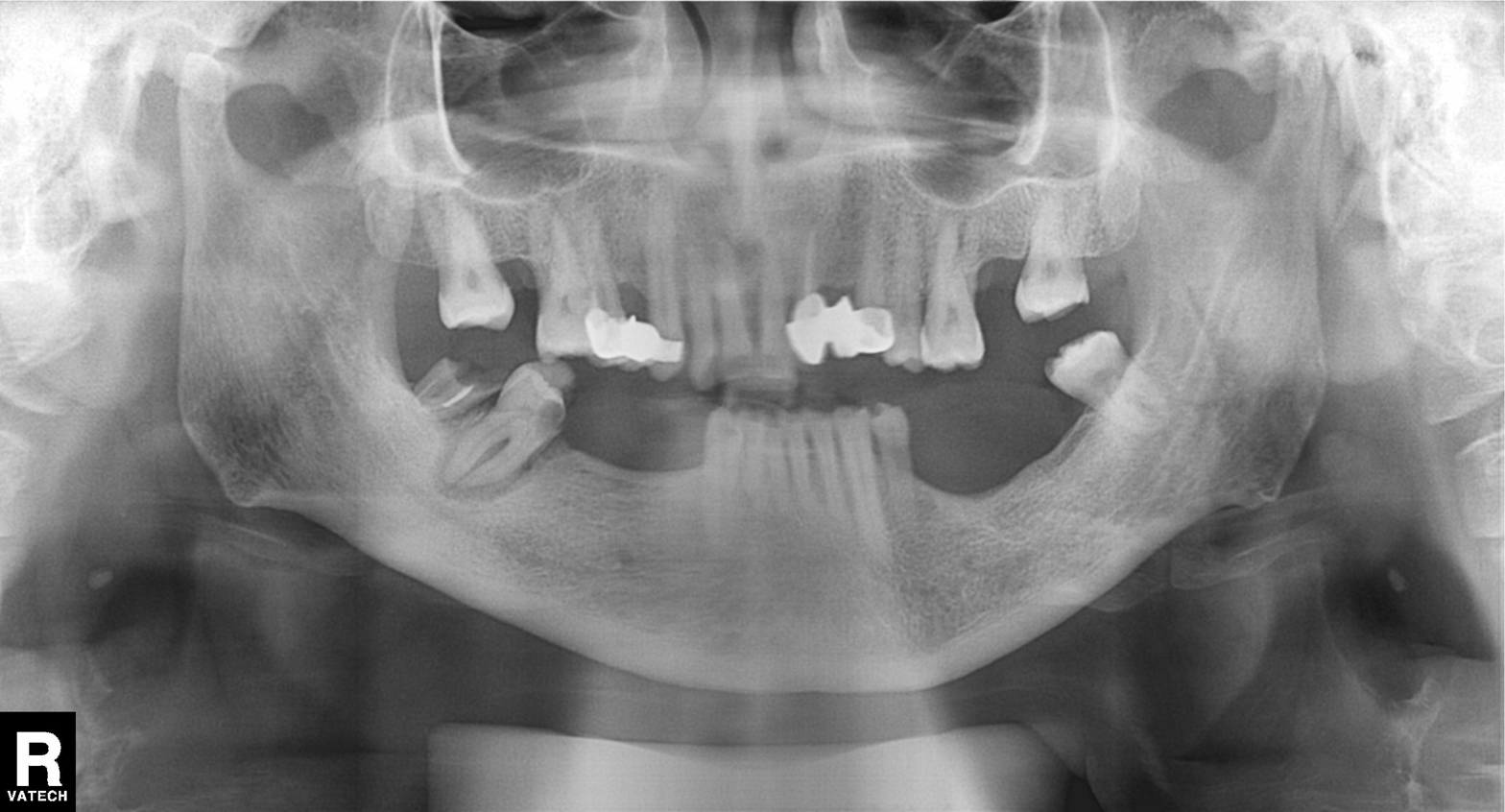
Summary:
Panoramic dental radiograph (orthopantomogram).
Diagnosis:
Tooth impaction.